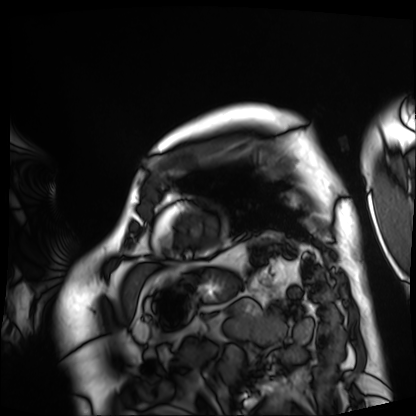
Cardiac MRI.
Subject group: patient.